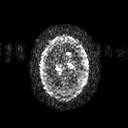
modality = 3 Tesla brain MRI
series = diffusion tensor imaging (medium iso)
study = ring-enhancing brain masses